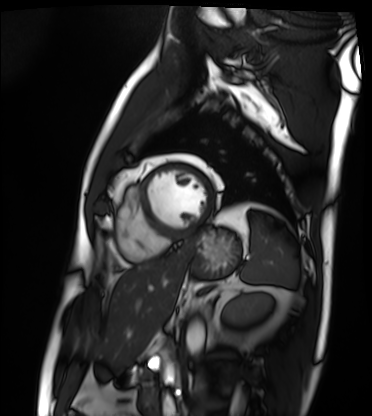
modality: cardiac MRI | subject group: patient.